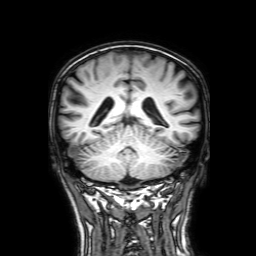
3 Tesla brain MRI. Series: 3D T1-weighted with SENSE. Study: ring-enhancing brain masses.